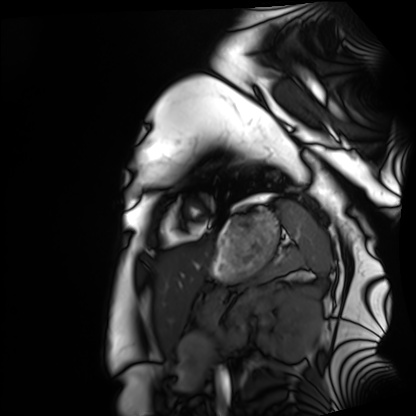
modality=cardiac MRI; subject group=healthy volunteer.